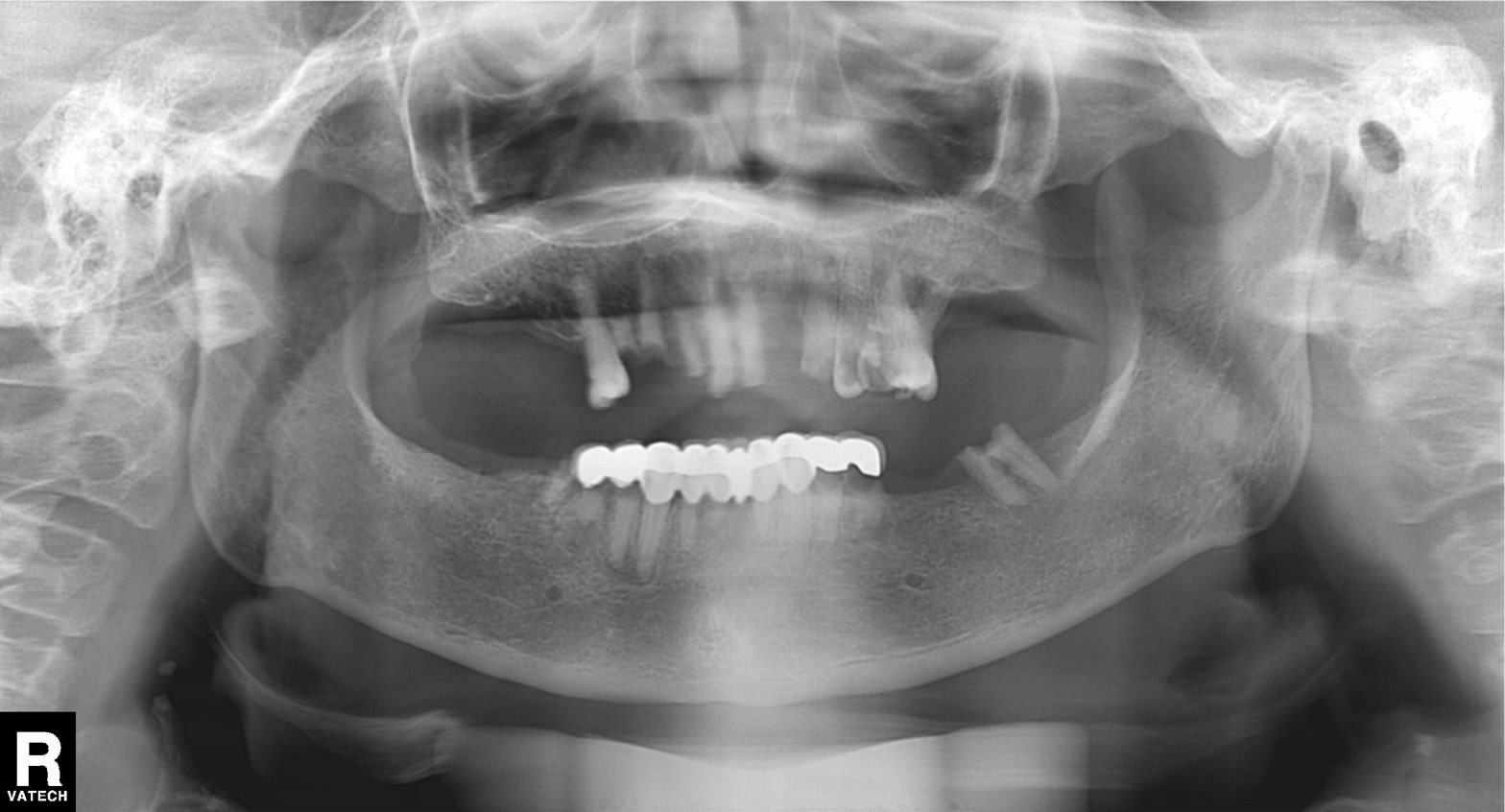
modality = panoramic dental radiograph (orthopantomogram)
finding = dental caries (cavities)